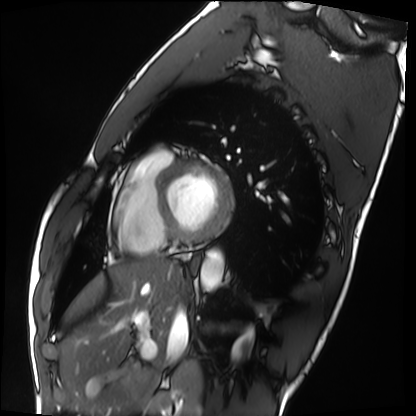
• modality: cardiac MRI
• subject group: healthy volunteer